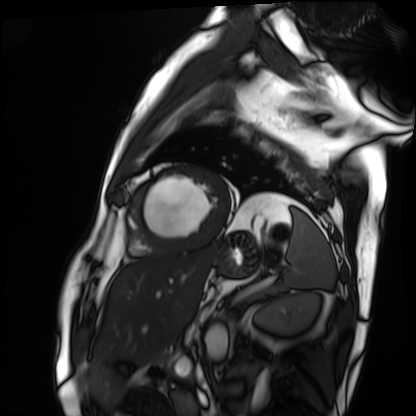
| field | value |
|---|---|
| modality | cardiac MRI |
| subject group | patient |